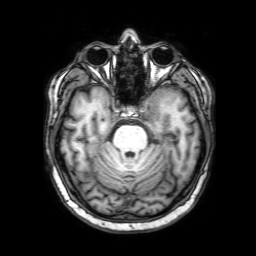
– modality: 3 Tesla brain MRI
– series: 3D T1-weighted with SENSE
– study: ring-enhancing brain masses